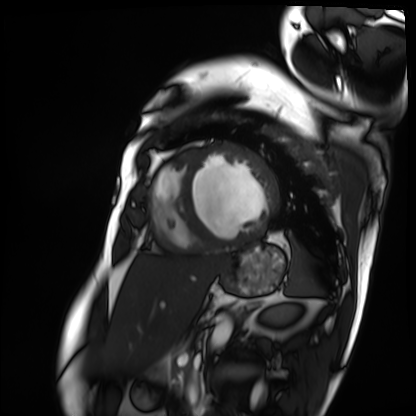
modality: cardiac MRI
subject group: patient